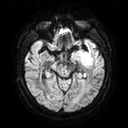
Case:
* modality · 3 Tesla brain MRI
* series · diffusion tensor imaging (medium iso)
* study · ring-enhancing brain masses